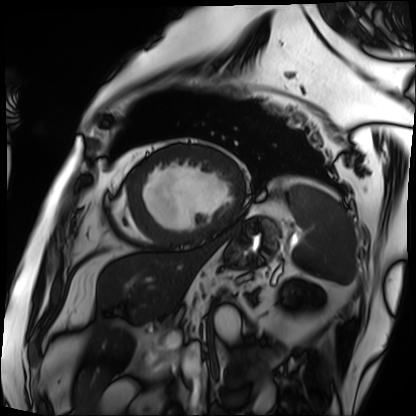
Case summary:
Cardiac MRI. Subject group: patient.